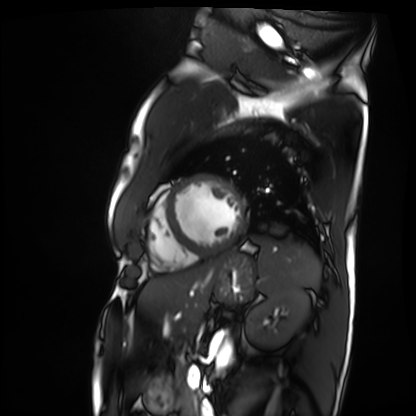
| field | value |
|---|---|
| modality | cardiac MRI |
| subject group | patient |